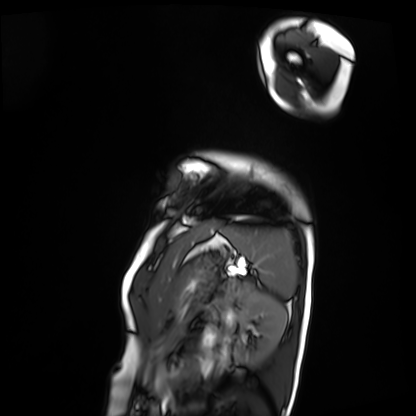
Clinical context: Cardiac MRI. Subject group: patient.